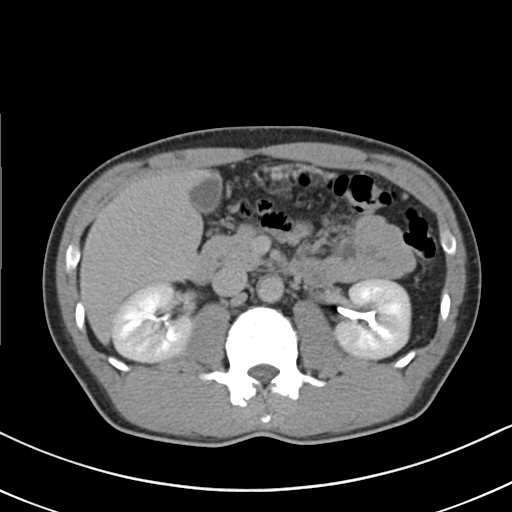
Case summary: Multiphase abdominal CT, liver, delayed phase. Patient: male, age 54. History: cirrhosis, viral hepatitis.